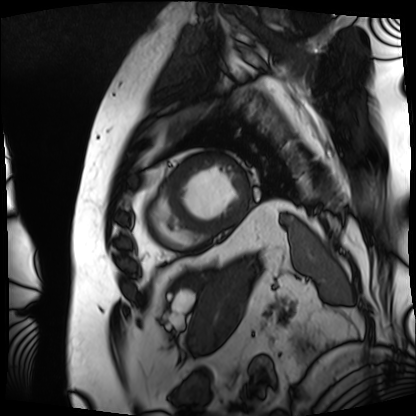
– modality: cardiac MRI
– subject group: patient